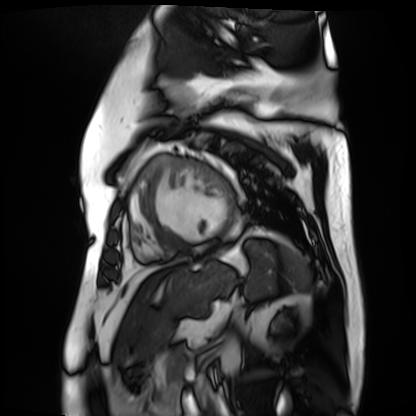
Cardiac MR image of the myocardium. Subject cohort: cardiac patient.